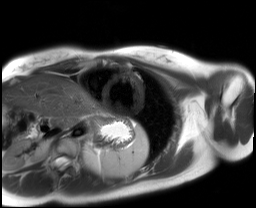
Cardiac MRI.
Subject group: healthy volunteer.